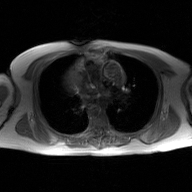
– modality: 2D phase-contrast cine MRI of the ascending aorta, GAN super-resolution reconstruction